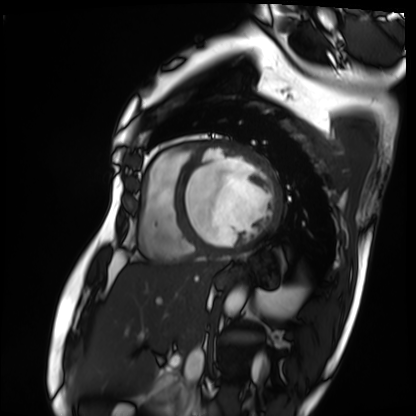
modality = cardiac MRI; subject group = patient.